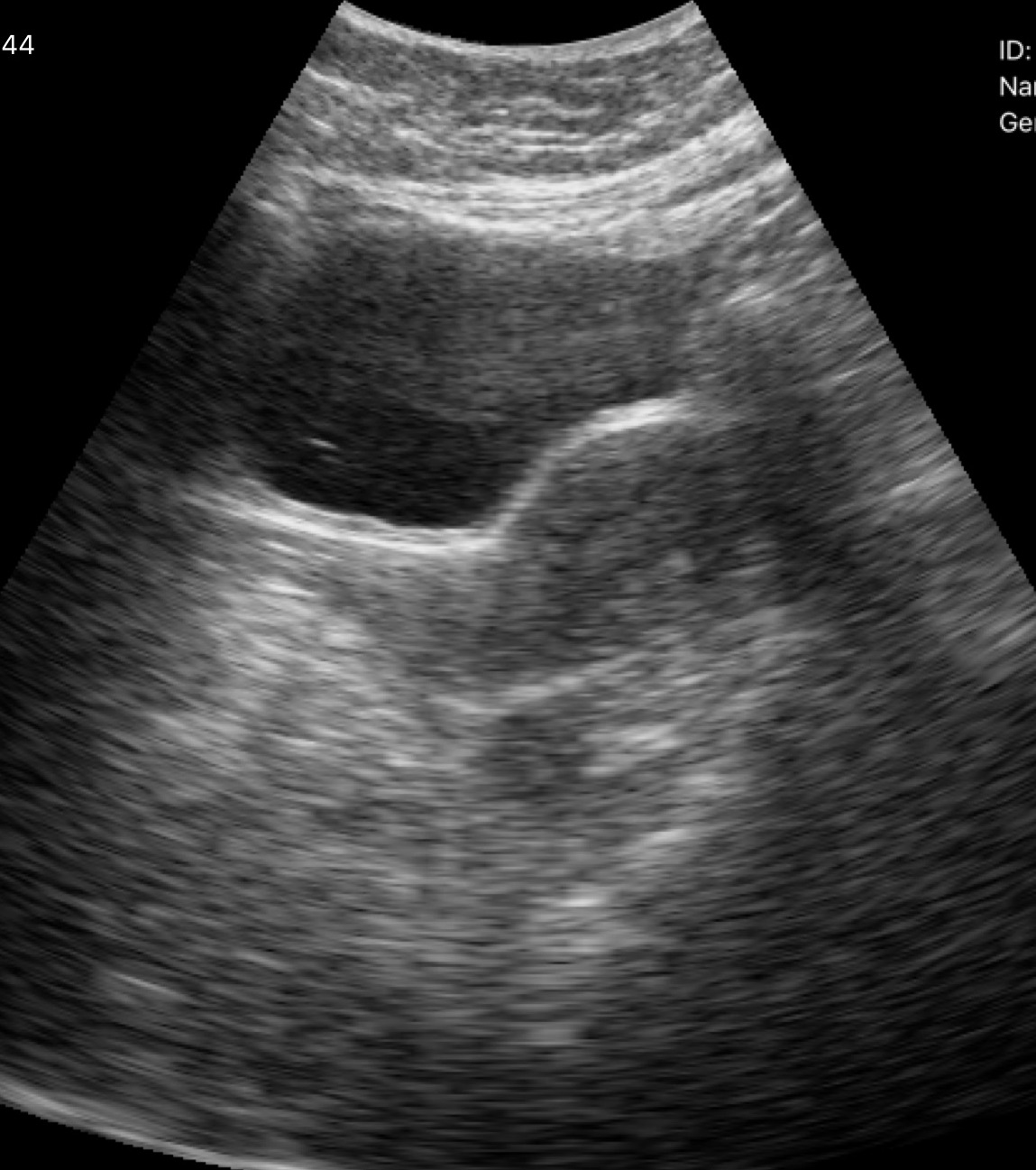
Summary:
Genitourinary ultrasound.